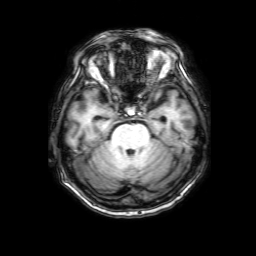
* modality · 3 Tesla brain MRI
* study · ring-enhancing brain masses